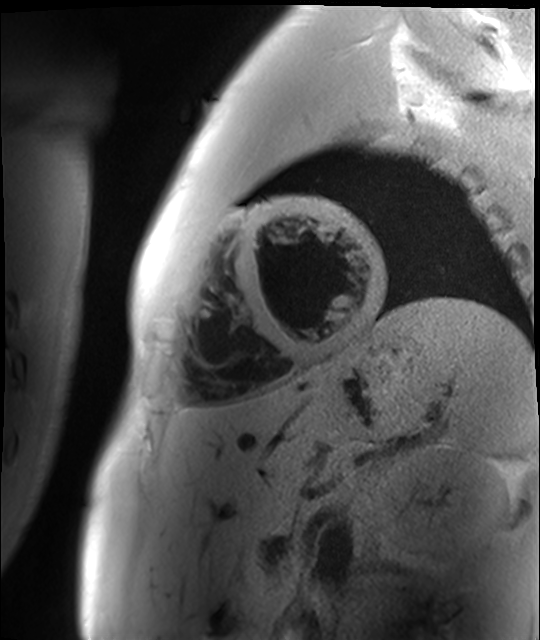
modality: cardiac MR image of the myocardium; subject cohort: healthy volunteer.